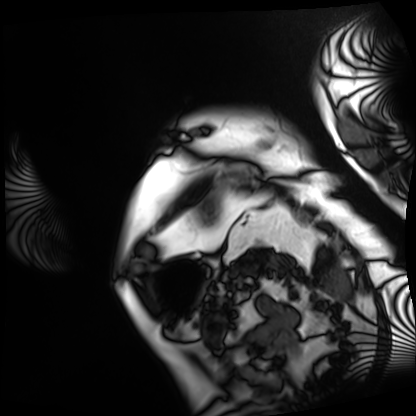
Cardiac MRI. Subject group: patient.